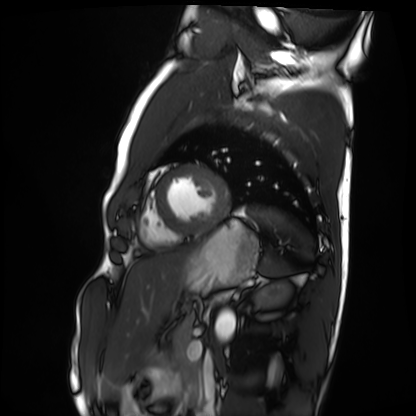
Clinical context: Cardiac MRI. Subject group: healthy volunteer.